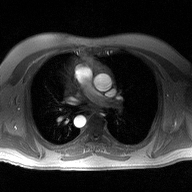
– modality · 2D phase-contrast cine MRI of the ascending aorta